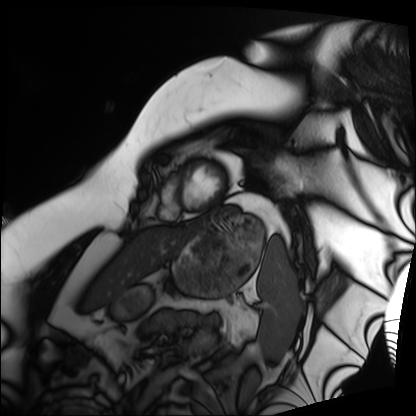
Cardiac MRI. Subject group: patient.